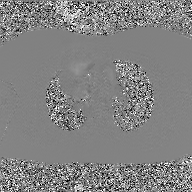
Clinical context: 2D phase-contrast cine MRI of the ascending aorta, GAN super-resolution reconstruction.